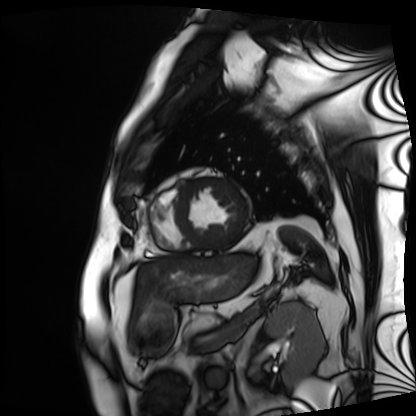
Cardiac MRI. Subject group: patient.